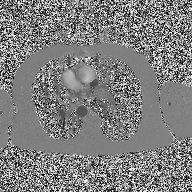
Q: What kind of scan is this?
A: 2D phase-contrast cine MRI of the ascending aorta.